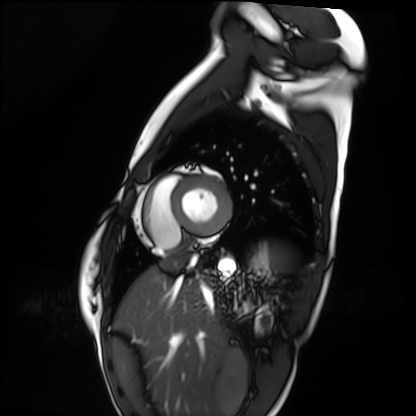
Cardiac MRI.
Subject group: healthy volunteer.